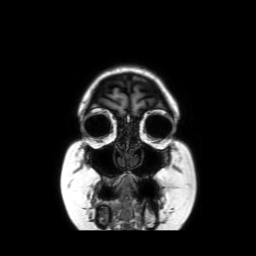
{
  "modality": {
    "type": "brain MRI",
    "field_strength": "3T"
  },
  "series": "coronal without contrast",
  "study_topic": "ring-enhancing brain masses"
}